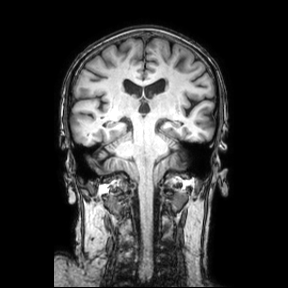
modality: 3 Tesla brain MRI | series: coronal | study: ring-enhancing brain masses.